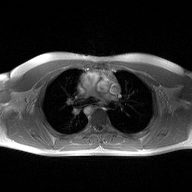
Case summary:
2D phase-contrast cine MRI of the ascending aorta, high-resolution GRAPPA acquisition.